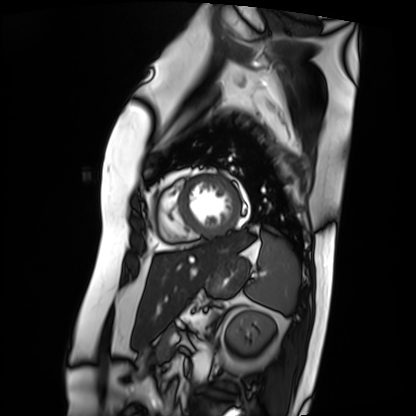
Summary:
Cardiac MRI. Subject group: patient.